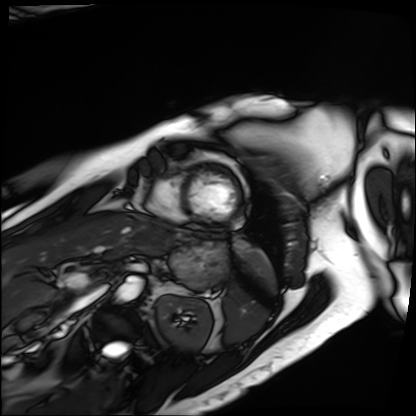
{
  "modality": "cardiac MRI",
  "cohort": "patient"
}